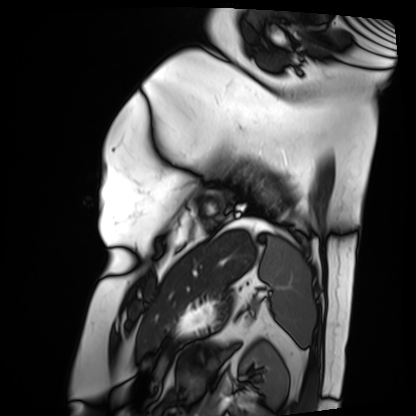
Case:
• modality: cardiac MRI
• subject group: patient